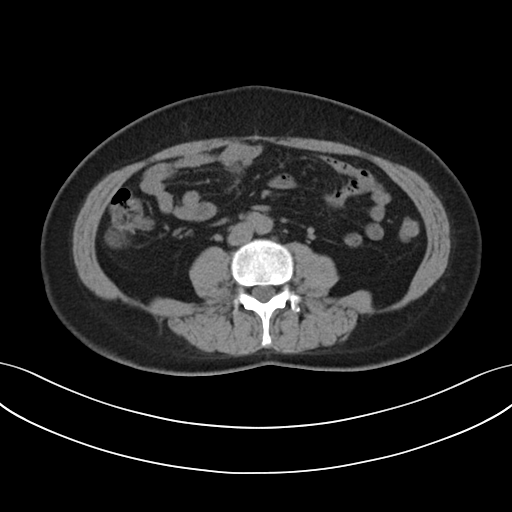
Clinical context:
Multiphase abdominal CT, liver, non-contrast phase. Patient: female, age 50. History: prior chemotherapy.